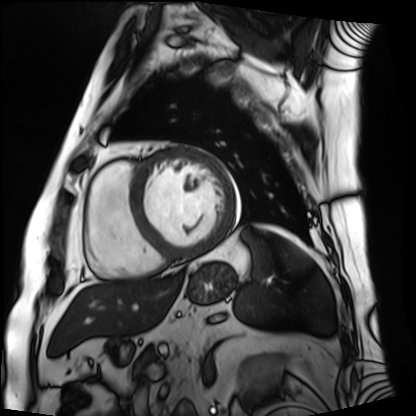
modality = cardiac MRI | subject group = patient.